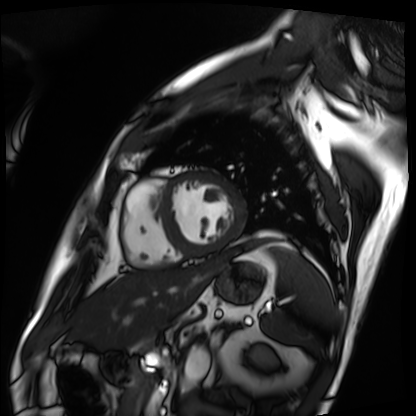
Cardiac MRI.
Subject group: patient.